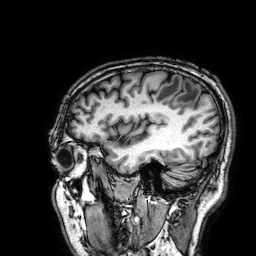
Clinical context: 3 Tesla brain MRI. Series: 3D T1-weighted. Study: ring-enhancing brain masses.